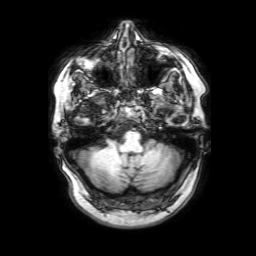
3 Tesla brain MRI. Series: 3D T1-weighted with SENSE. Study: ring-enhancing brain masses.